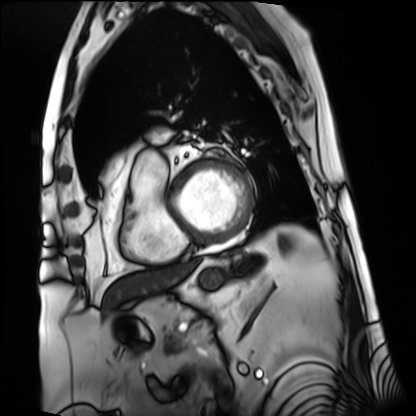
• modality: cardiac MRI
• subject group: patient